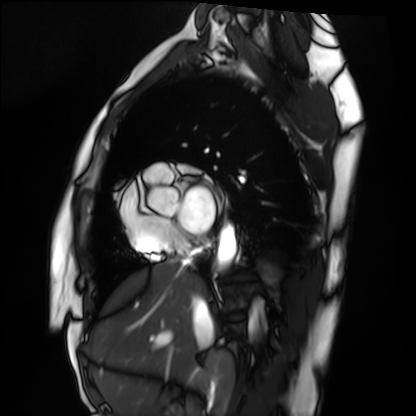
Cardiac MRI.
Subject group: healthy volunteer.